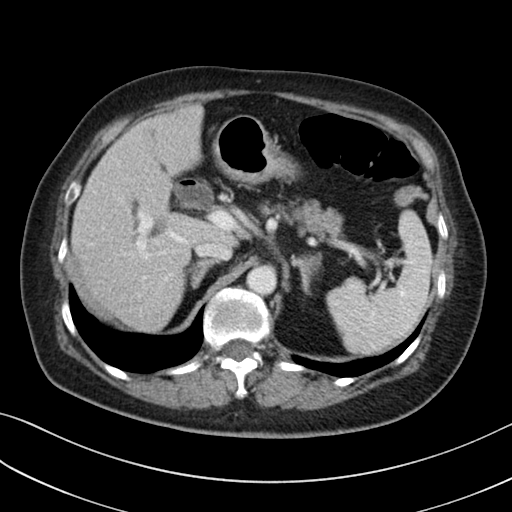
Multiphase abdominal CT, liver, portal venous phase. Patient: female, age 71. History: prior chemotherapy.